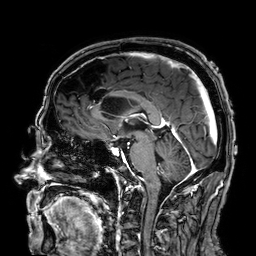
Summary: 3 Tesla brain MRI. Series: 3D T1-weighted. Study: ring-enhancing brain masses.